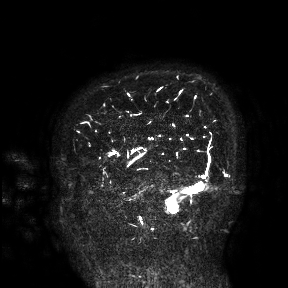
modality: 3 Tesla brain MRI | study: ring-enhancing brain masses.